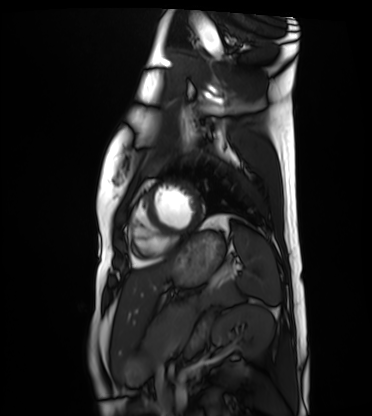
Cardiac MRI.
Subject group: healthy volunteer.